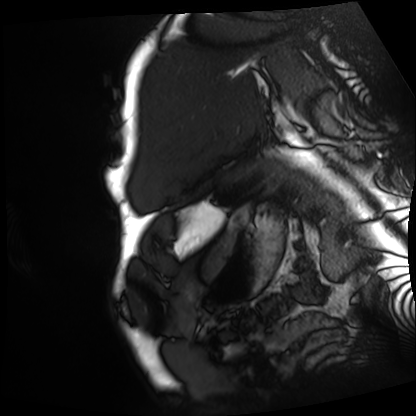
Summary:
Cardiac MRI. Subject group: patient.